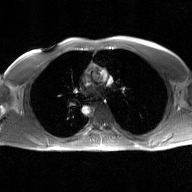
- modality — 2D phase-contrast cine MRI of the ascending aorta, GAN super-resolution reconstruction